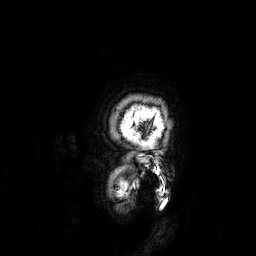
{"modality": {"type": "brain MRI", "field_strength": "3T"}, "study_topic": "ring-enhancing brain masses"}